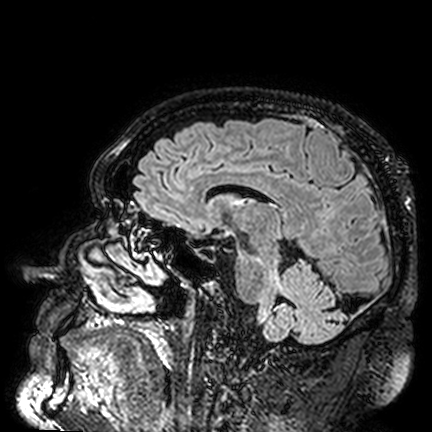
3 Tesla brain MRI.
Series: FLAIR VISTA.
Study: ring-enhancing brain masses.